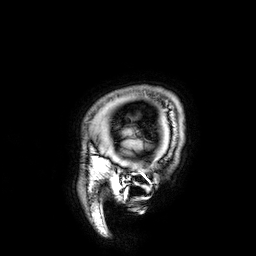
3 Tesla brain MRI.
Study: ring-enhancing brain masses.